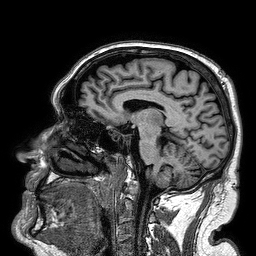
modality:
  type: brain MRI
  field_strength: 3T
series: 3D T1-weighted turbo field echo
study_topic: ring-enhancing brain masses